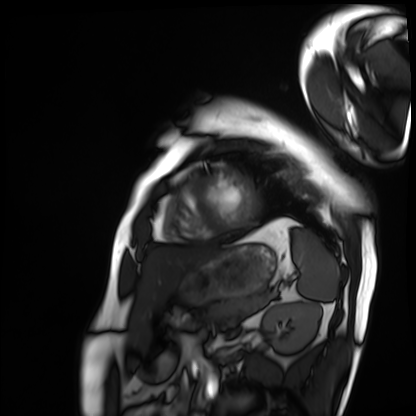
Q: What kind of scan is this?
A: Cardiac MRI.
Subject group: patient.